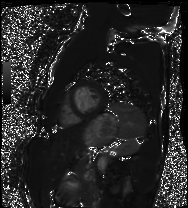
- modality: cardiac MRI
- subject group: healthy volunteer